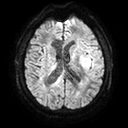
modality=3 Tesla brain MRI | series=diffusion tensor imaging (medium iso) | study=ring-enhancing brain masses.